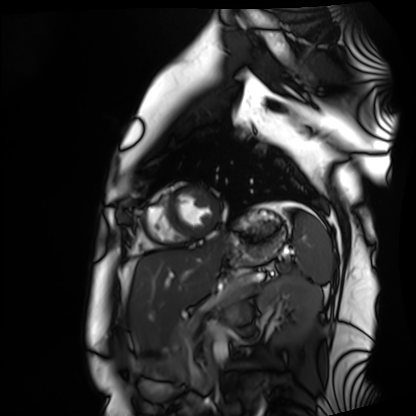
modality=cardiac MRI
subject group=healthy volunteer